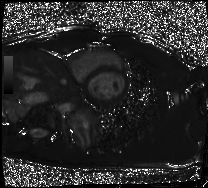
Summary: Cardiac MRI. Subject group: healthy volunteer.